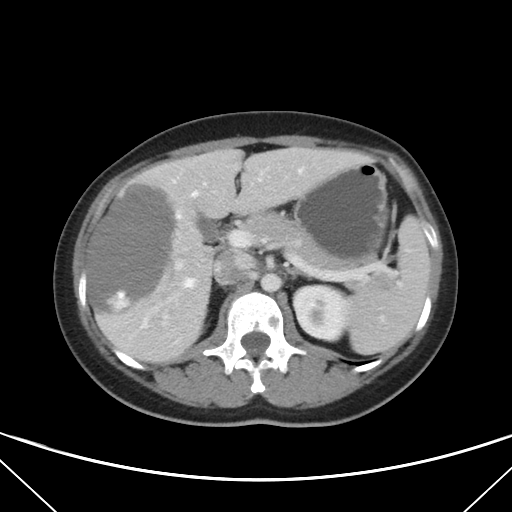
  modality:
    type: multiphase abdominal CT
    region: liver
    phase: portal venous
  patient:
    sex: female
    age: 33
  history:
    - viral hepatitis